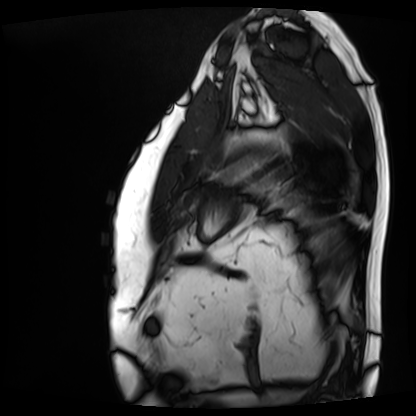
  modality: cardiac MRI
  cohort: patient